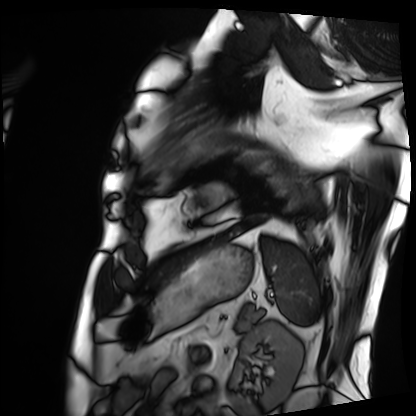
Cardiac MRI. Subject group: patient.